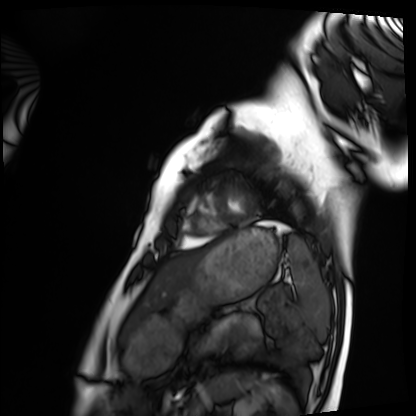
Q: What kind of scan is this?
A: Cardiac MRI.
Subject group: healthy volunteer.